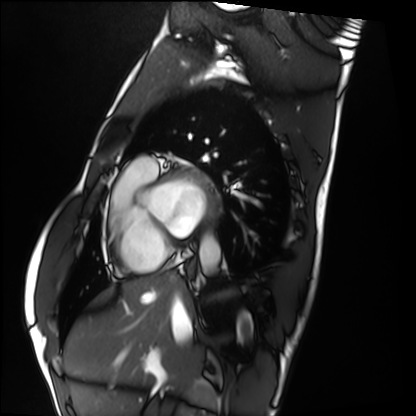
{
  "modality": "cardiac MRI",
  "cohort": "healthy volunteer"
}